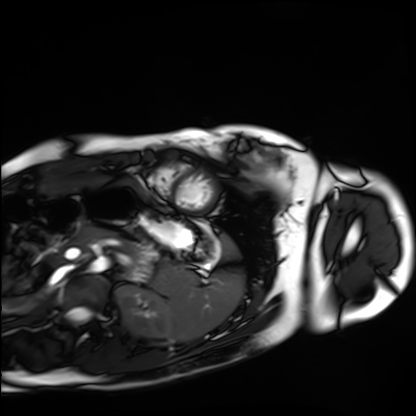
Cardiac MRI. Subject group: healthy volunteer.